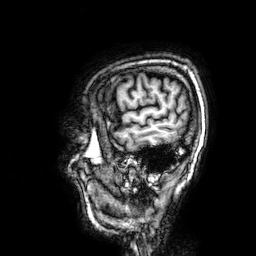
Q: What kind of scan is this?
A: 3 Tesla brain MRI.
Study: ring-enhancing brain masses.